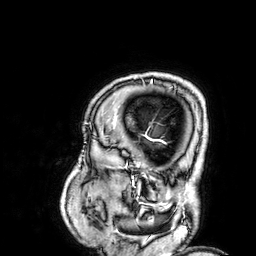
3 Tesla brain MRI. Series: 3D T1-weighted. Study: ring-enhancing brain masses.